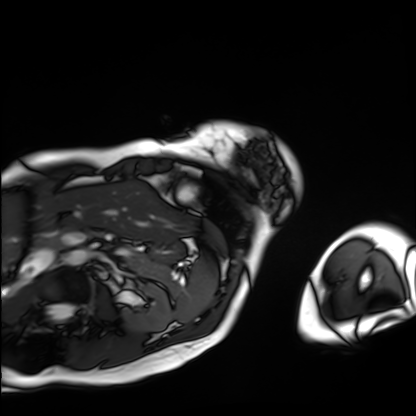
Case:
* modality: cardiac MRI
* subject group: patient